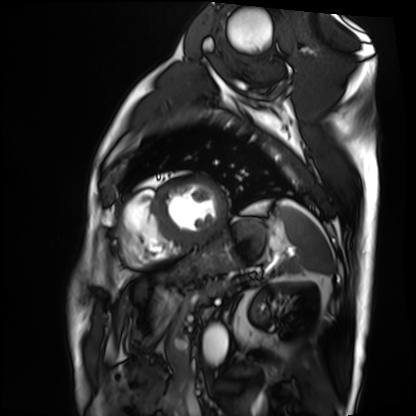
Q: What kind of scan is this?
A: Cardiac MRI.
Subject group: patient.